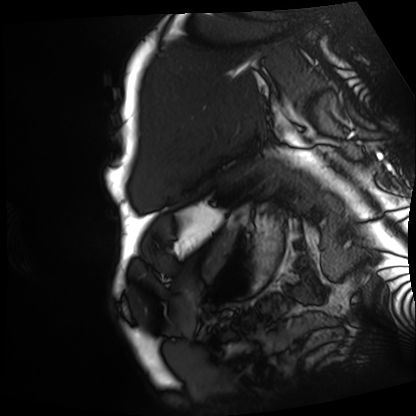
| field | value |
|---|---|
| modality | cardiac MRI |
| subject group | patient |